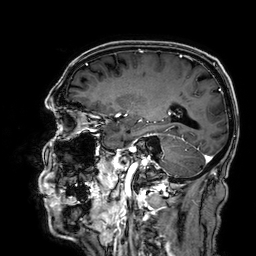
3 Tesla brain MRI. Series: 3D T1-weighted. Study: ring-enhancing brain masses.